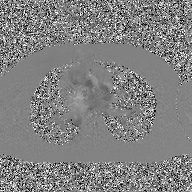
2D phase-contrast cine MRI of the ascending aorta, GAN super-resolution reconstruction.